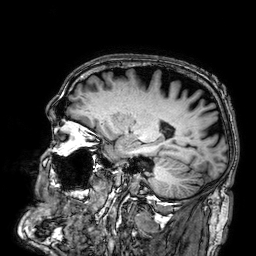
3 Tesla brain MRI.
Series: 3D T1-weighted.
Study: ring-enhancing brain masses.